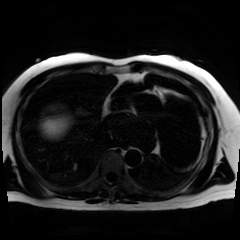
| field | value |
|---|---|
| modality | chemical-shift-encoded cardiac MRI |